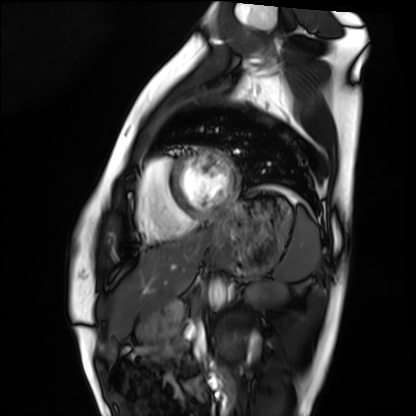
| field | value |
|---|---|
| modality | cardiac MRI |
| subject group | healthy volunteer |